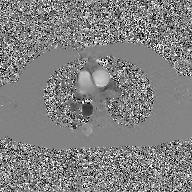
Case:
- modality: 2D phase-contrast cine MRI of the ascending aorta, GAN super-resolution reconstruction